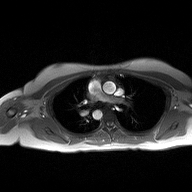
Summary: 2D phase-contrast cine MRI of the ascending aorta, high-resolution GRAPPA acquisition.